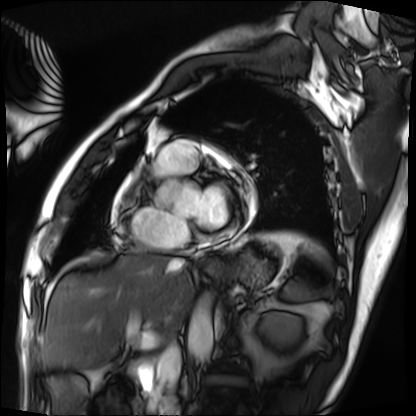
<record>
  <modality>cardiac MRI</modality>
  <cohort>patient</cohort>
</record>